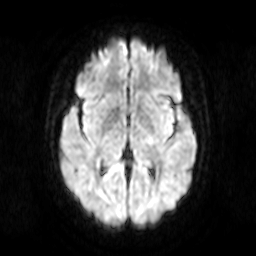
Summary:
3 Tesla brain MRI. Series: diffusion-weighted imaging. Study: ring-enhancing brain masses.